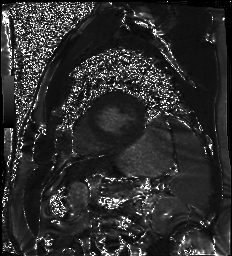
Clinical context:
Cardiac MR image of the myocardium. Subject cohort: cardiac patient.